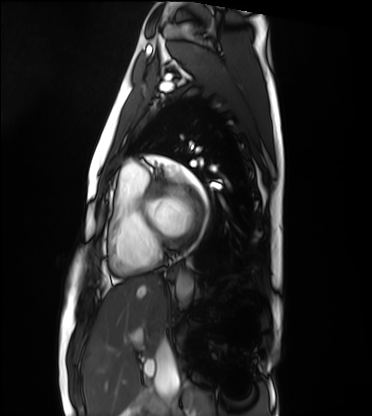
Cardiac MRI. Subject group: healthy volunteer.